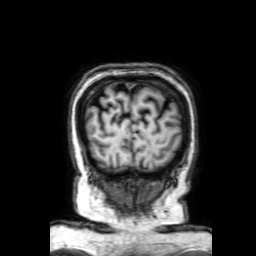
modality: 3 Tesla brain MRI
series: 3D T1-weighted with SENSE
study: ring-enhancing brain masses